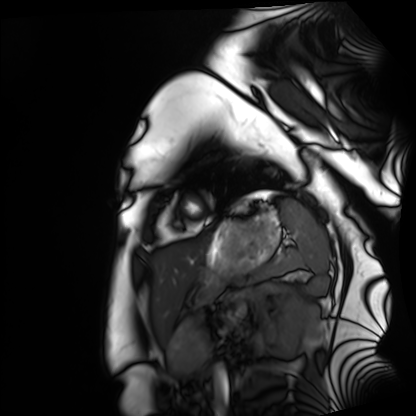
  modality: cardiac MRI
  cohort: healthy volunteer